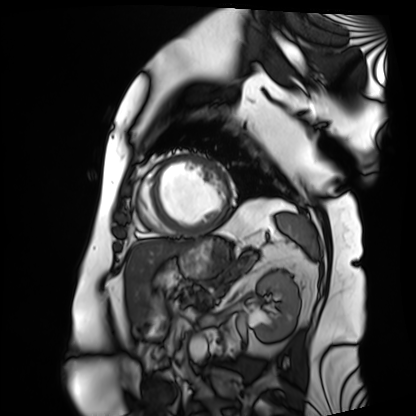
modality: cardiac MRI
cohort: patient